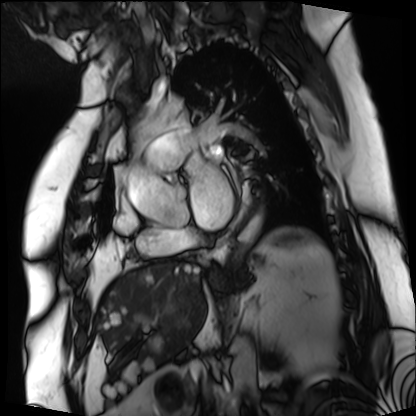
modality: cardiac MRI; subject group: patient.